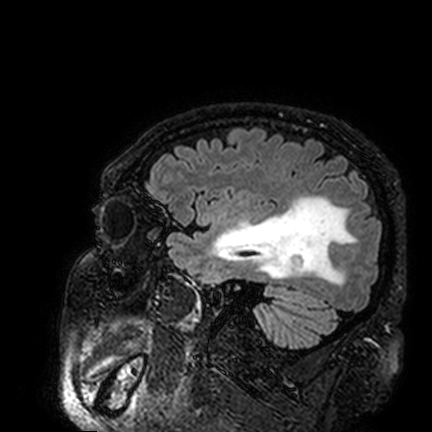
3 Tesla brain MRI.
Series: FLAIR VISTA.
Study: ring-enhancing brain masses.